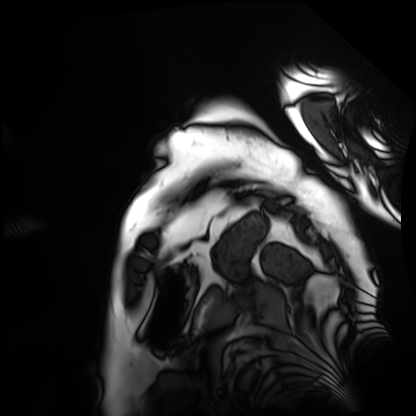
* modality — cardiac MRI
* subject group — patient